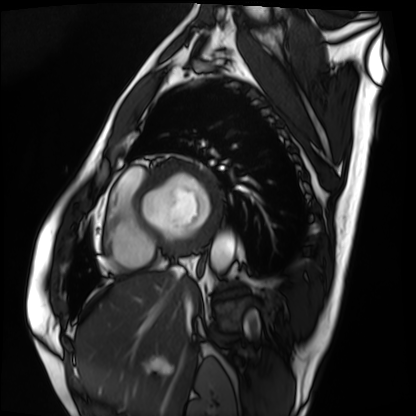
Cardiac MRI. Subject group: patient.